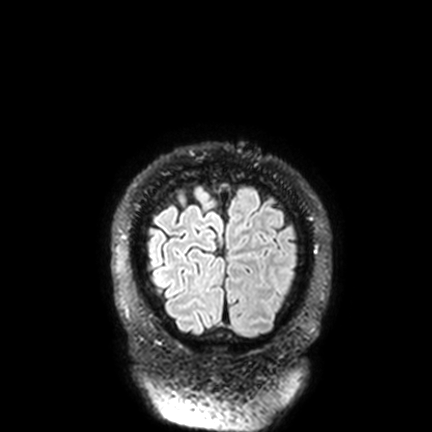
  modality:
    type: brain MRI
    field_strength: 3T
  study_topic: ring-enhancing brain masses